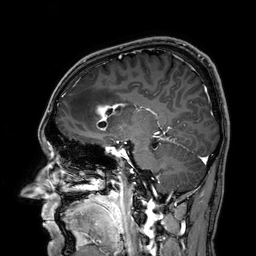
3 Tesla brain MRI.
Series: 3D T1-weighted.
Study: ring-enhancing brain masses.